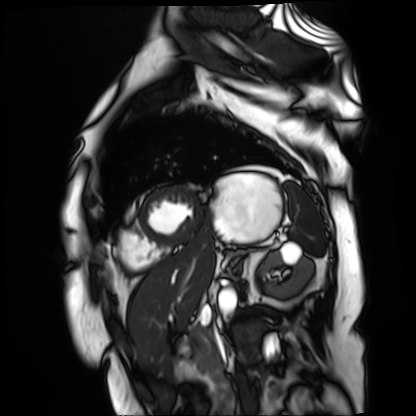
<scan>
<modality>cardiac MR image of the myocardium</modality>
<cohort>cardiac patient</cohort>
</scan>